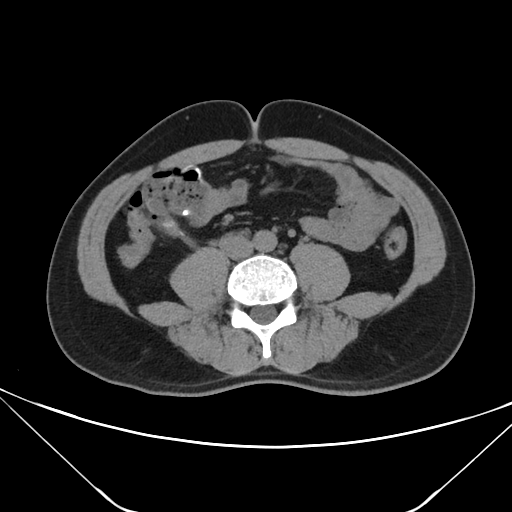
Multiphase abdominal CT, liver, non-contrast phase.
Patient: male, age 35.